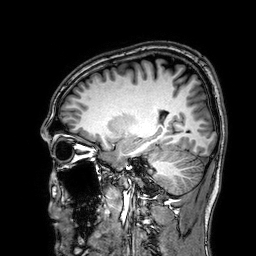
modality=3 Tesla brain MRI | study=ring-enhancing brain masses.